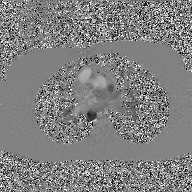
modality: 2D phase-contrast cine MRI of the ascending aorta, GAN super-resolution reconstruction.